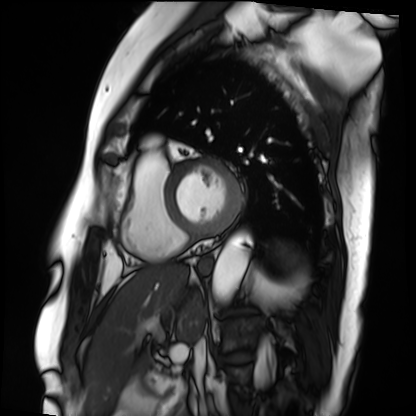
Case summary:
Cardiac MRI. Subject group: patient.